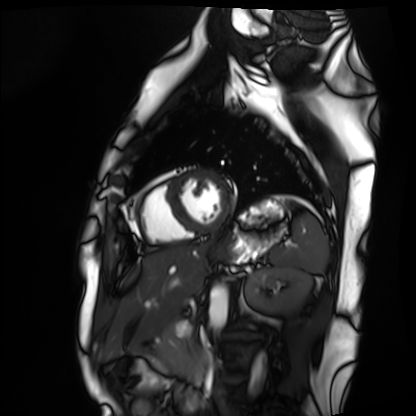
Cardiac MRI.
Subject group: healthy volunteer.